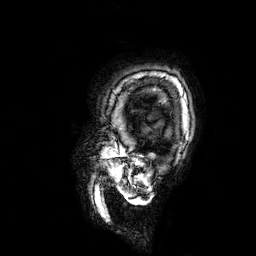
{
  "modality": {
    "type": "brain MRI",
    "field_strength": "3T"
  },
  "series": "3D T1-weighted",
  "study_topic": "ring-enhancing brain masses"
}